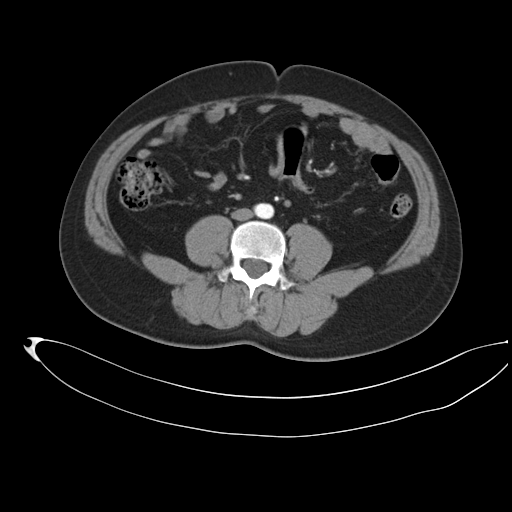
modality: multiphase abdominal CT, liver, arterial phase | patient: male, age 35 | history: prior chemotherapy.